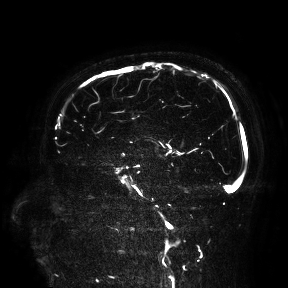
modality = 3 Tesla brain MRI
study = ring-enhancing brain masses